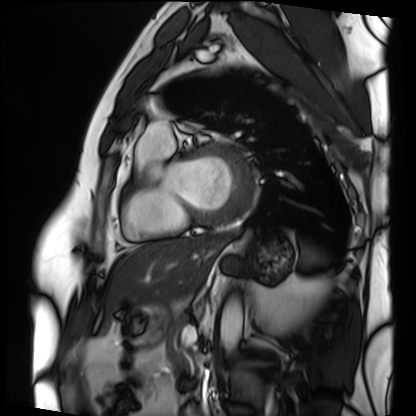
modality: cardiac MRI
cohort: patient